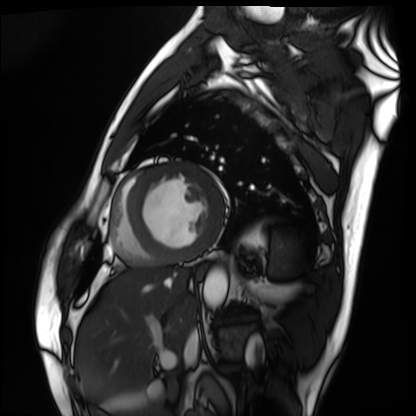
Case summary: Cardiac MRI. Subject group: patient.